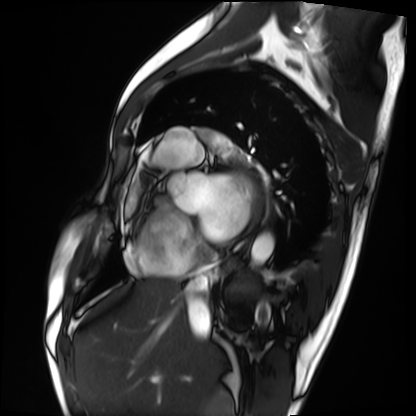
  modality: cardiac MRI
  cohort: patient